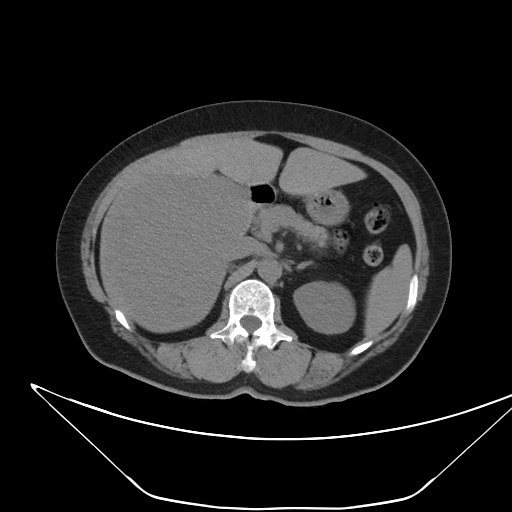
Summary:
Multiphase abdominal CT, liver, non-contrast phase. Patient: female, age 62.